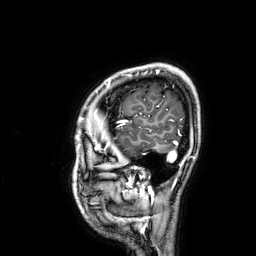
Q: What kind of scan is this?
A: 3 Tesla brain MRI.
Q: Series?
A: 3D T1-weighted.
Study: ring-enhancing brain masses.